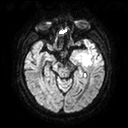
Q: What kind of scan is this?
A: 3 Tesla brain MRI.
Q: Series?
A: Diffusion tensor imaging (medium iso).
Study: ring-enhancing brain masses.